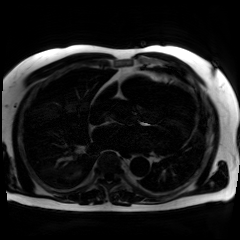
Summary:
Chemical-shift-encoded cardiac MRI.